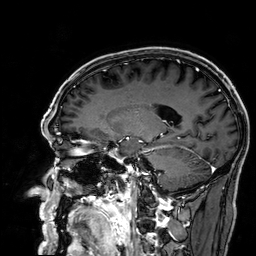
Q: What kind of scan is this?
A: 3 Tesla brain MRI.
Study: ring-enhancing brain masses.